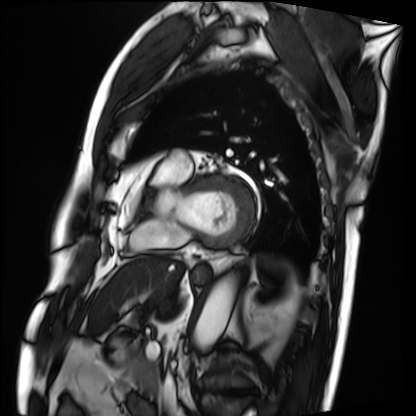
modality=cardiac MRI; subject group=patient.